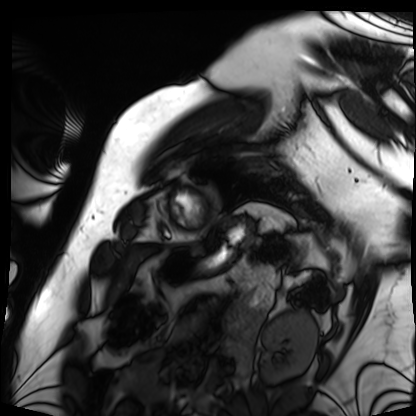
Cardiac MRI.
Subject group: patient.